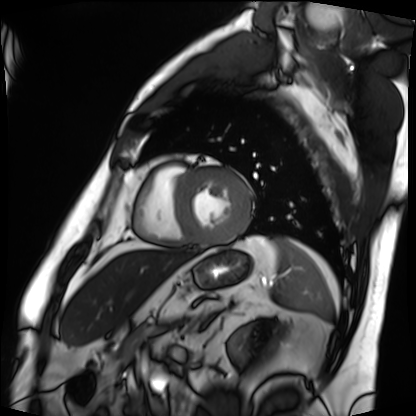
Case:
- modality — cardiac MRI
- subject group — patient